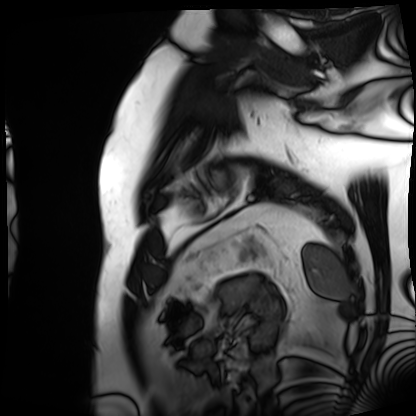
Q: What kind of scan is this?
A: Cardiac MRI.
Subject group: patient.